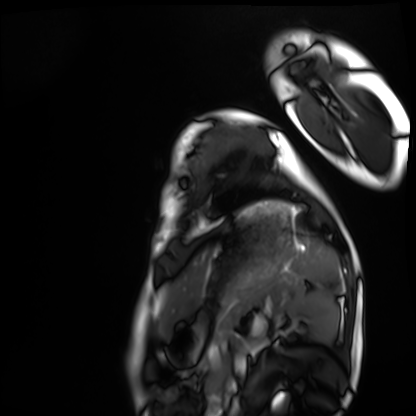
Clinical context: Cardiac MRI. Subject group: healthy volunteer.